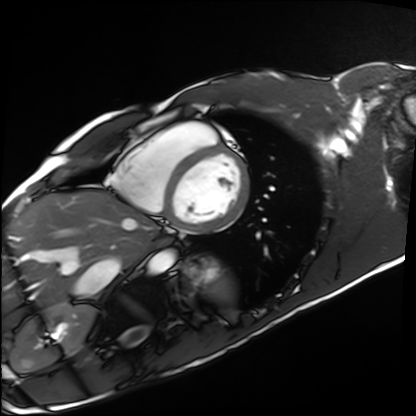
modality: cardiac MRI
cohort: healthy volunteer